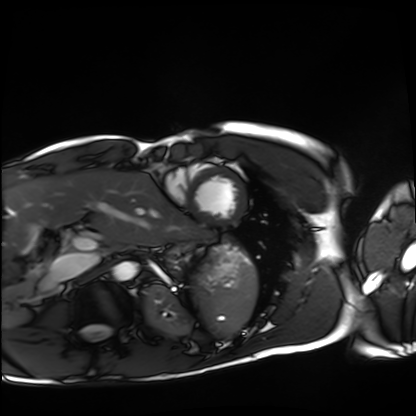
Clinical context:
Cardiac MRI. Subject group: healthy volunteer.